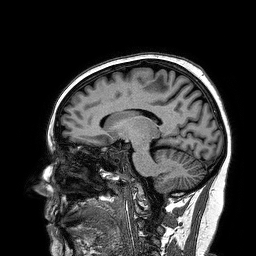
3 Tesla brain MRI.
Series: 3D T1-weighted turbo field echo.
Study: ring-enhancing brain masses.